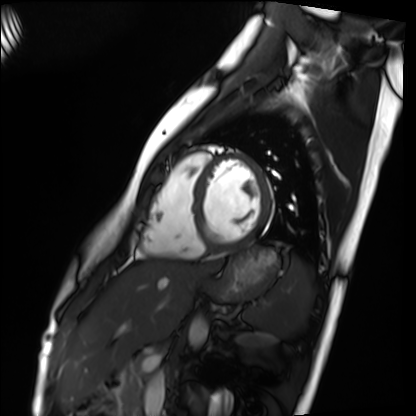
Cardiac MRI.
Subject group: healthy volunteer.